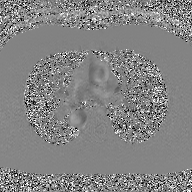
<record>
<modality>
  <type>2D phase-contrast cine MRI</type>
  <region>ascending aorta</region>
  <reconstruction>GAN super-resolution reconstruction</reconstruction>
</modality>
</record>